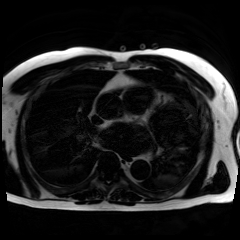
• modality: chemical-shift-encoded cardiac MRI